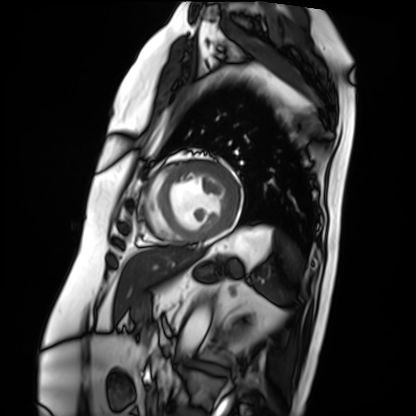
modality: cardiac MRI
subject group: patient